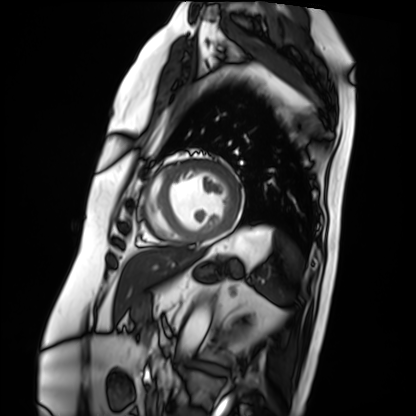
Cardiac MRI.
Subject group: patient.